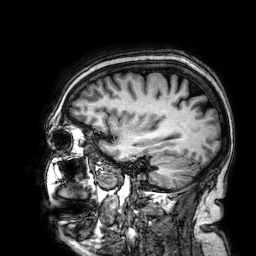
• modality — 3 Tesla brain MRI
• series — 3D T1-weighted
• study — ring-enhancing brain masses